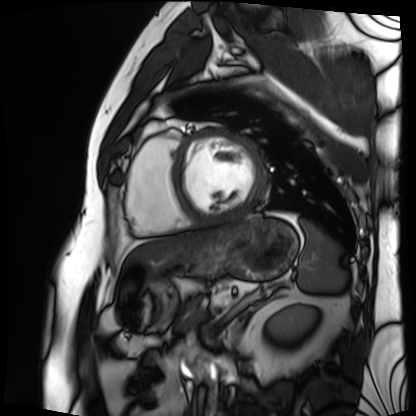
• modality — cardiac MRI
• subject group — patient